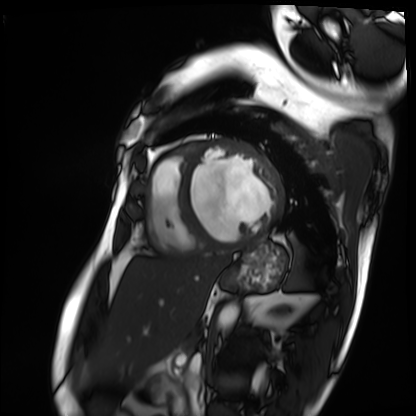
Q: What kind of scan is this?
A: Cardiac MRI.
Subject group: patient.